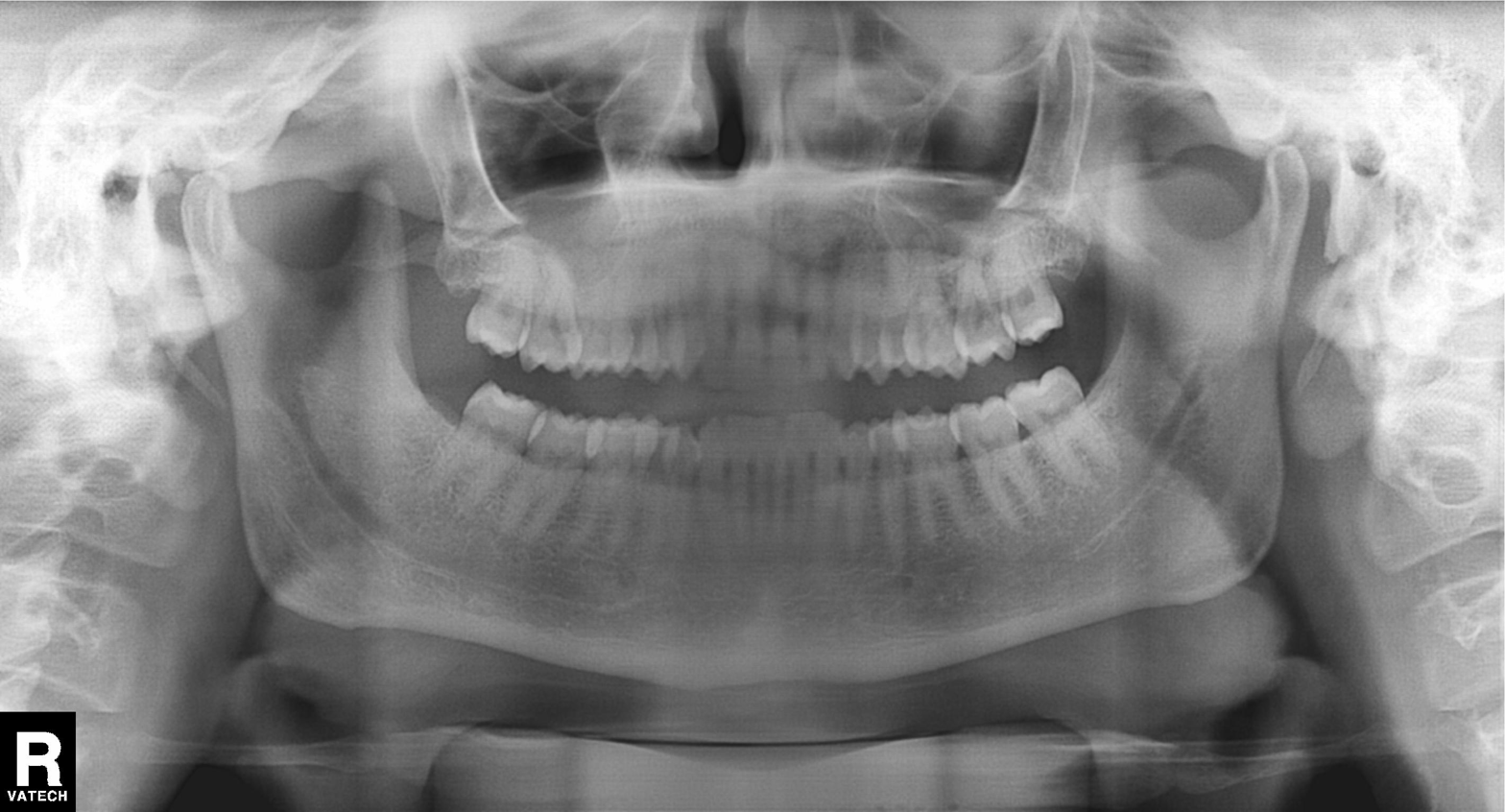
Panoramic dental radiograph (orthopantomogram). Finding: dental caries (cavities).